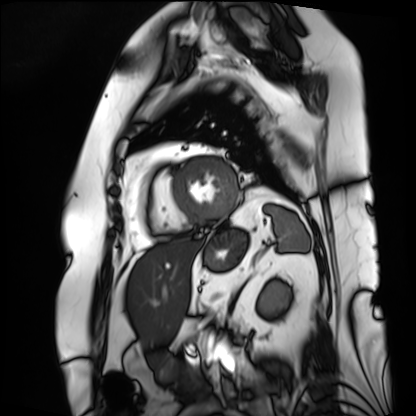
<scan>
  <modality>cardiac MRI</modality>
  <cohort>patient</cohort>
</scan>